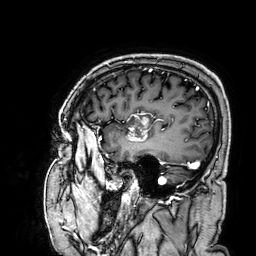
– modality: 3 Tesla brain MRI
– series: 3D T1-weighted
– study: ring-enhancing brain masses